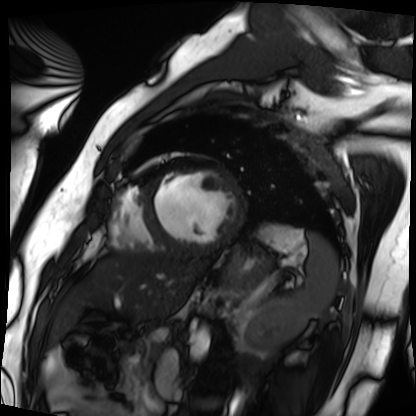
Cardiac MRI.
Subject group: patient.